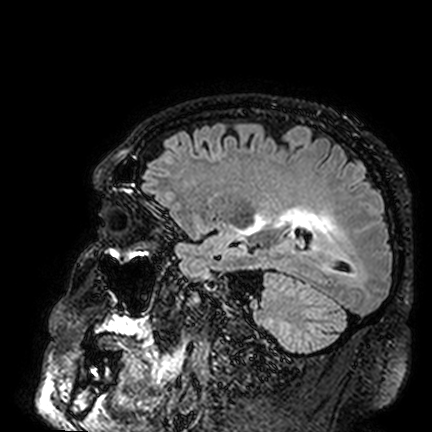
Clinical context: 3 Tesla brain MRI. Series: FLAIR VISTA. Study: ring-enhancing brain masses.